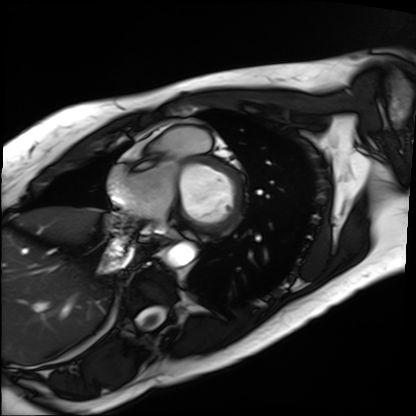
{
  "modality": "cardiac MRI",
  "cohort": "patient"
}